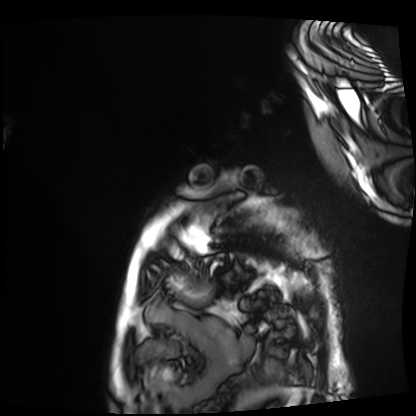
| field | value |
|---|---|
| modality | cardiac MRI |
| subject group | patient |